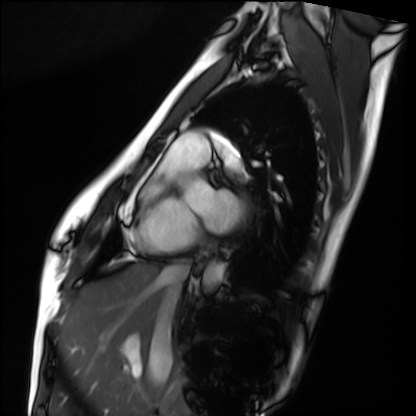
Q: What kind of scan is this?
A: Cardiac MRI.
Subject group: healthy volunteer.